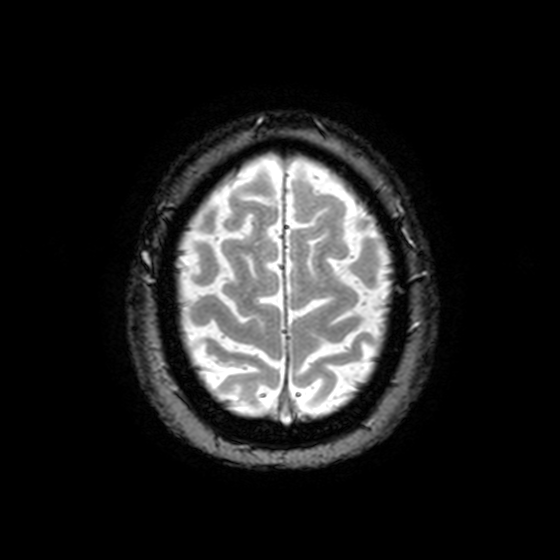
Q: What kind of scan is this?
A: 3 Tesla brain MRI.
Q: Series?
A: T2-weighted fast field echo with SENSE.
Study: ring-enhancing brain masses.